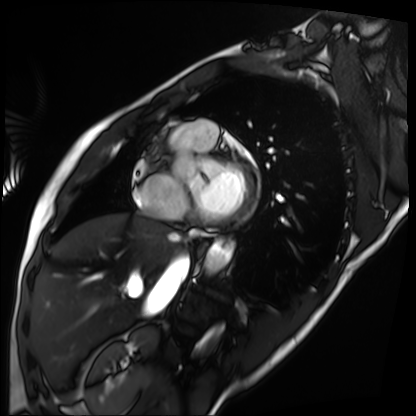
Cardiac MRI. Subject group: patient.